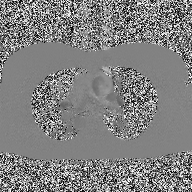
2D phase-contrast cine MRI of the ascending aorta, high-resolution GRAPPA acquisition.